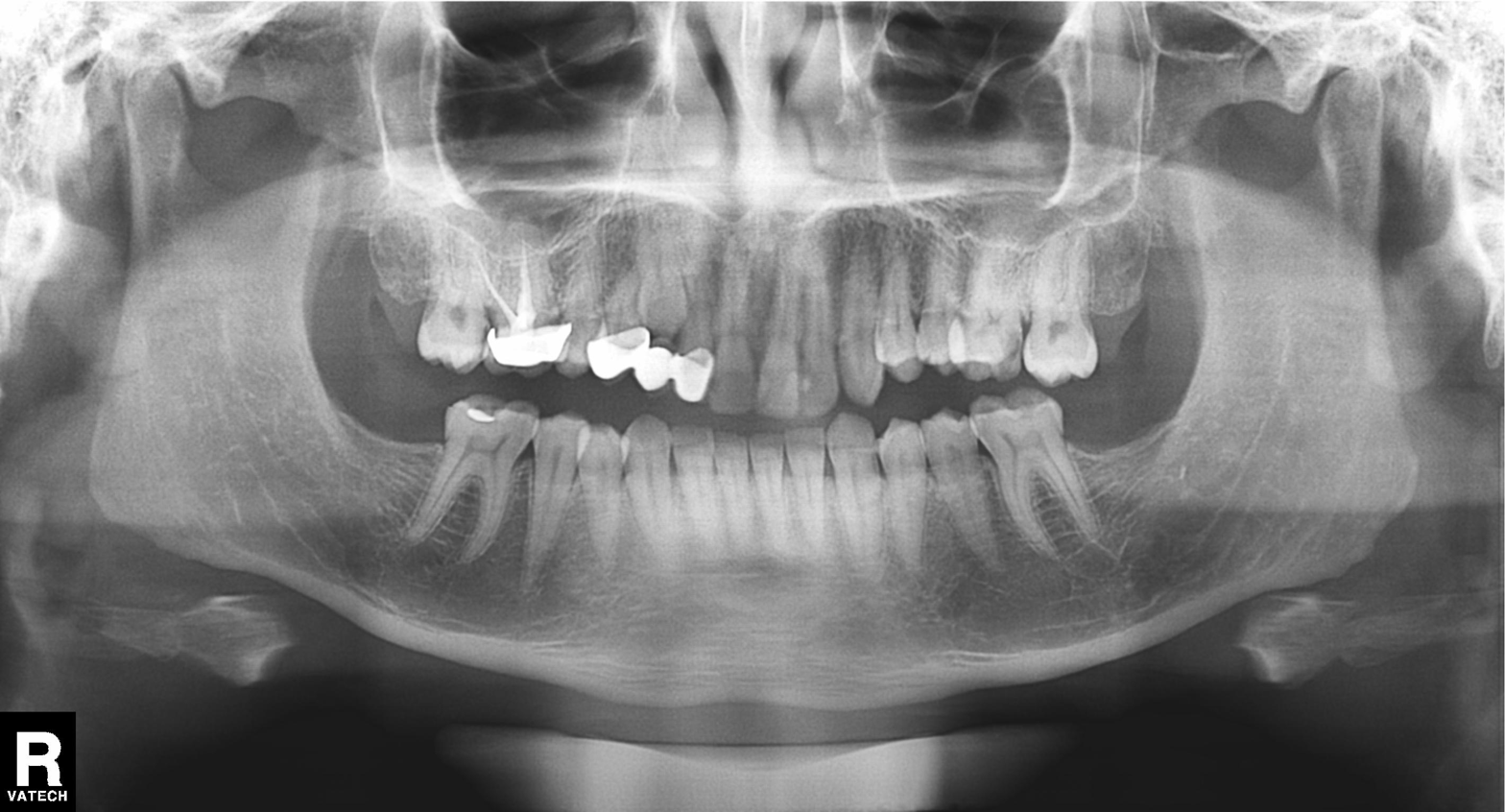
Panoramic dental radiograph (orthopantomogram).
Finding: dental caries (cavities).